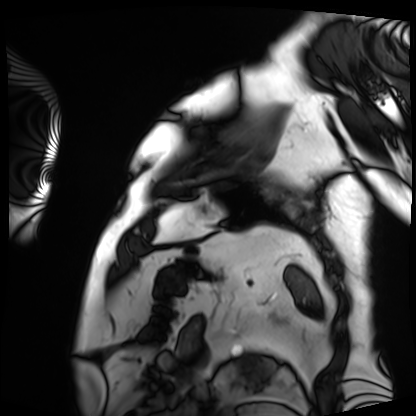
Clinical context:
Cardiac MRI. Subject group: patient.